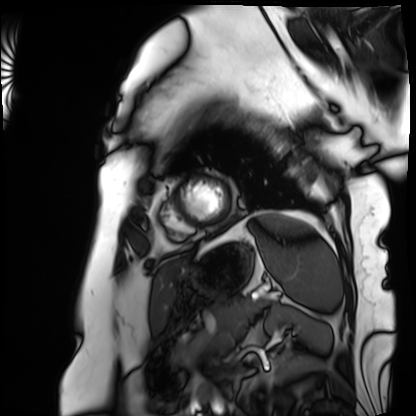
| field | value |
|---|---|
| modality | cardiac MRI |
| subject group | patient |